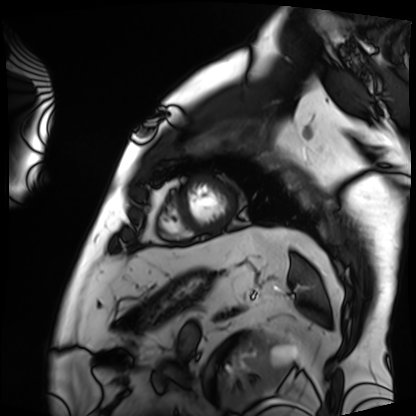
Cardiac MRI. Subject group: patient.